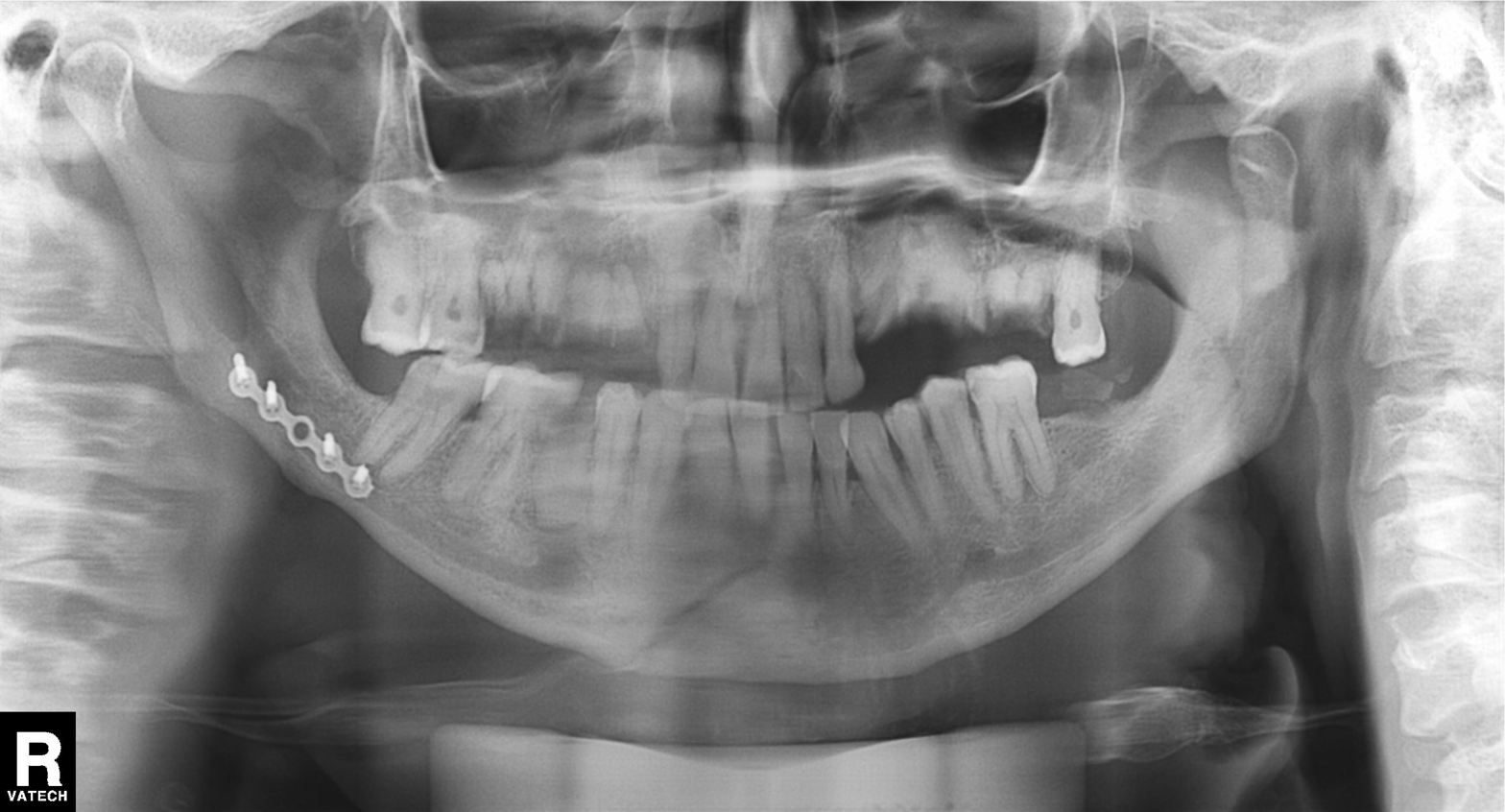
modality: panoramic dental radiograph (orthopantomogram); finding: alveolar bone loss.